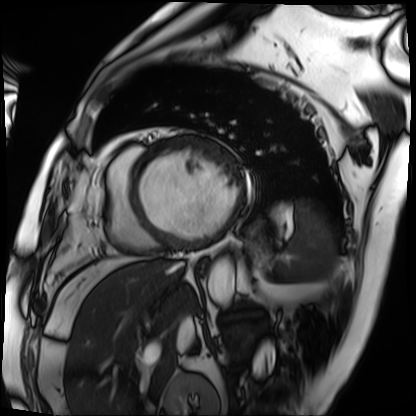
{"modality": "cardiac MRI", "cohort": "patient"}